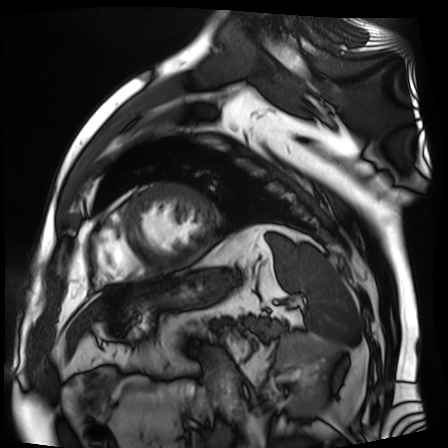
modality: cardiac MR image of the myocardium; subject cohort: cardiac patient.